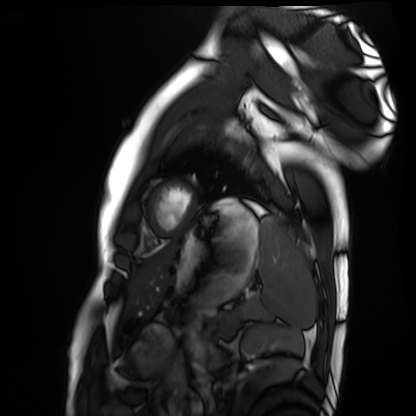
Case:
- modality — cardiac MRI
- subject group — healthy volunteer